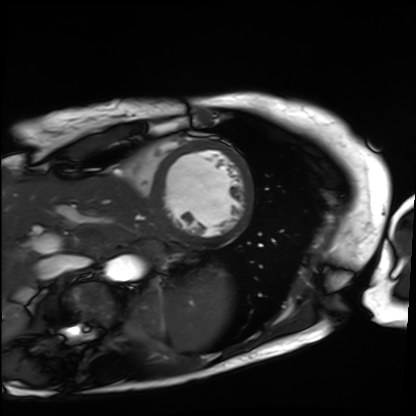
Case summary:
Cardiac MRI. Subject group: patient.